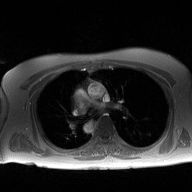
Summary: 2D phase-contrast cine MRI of the ascending aorta, high-resolution GRAPPA acquisition.